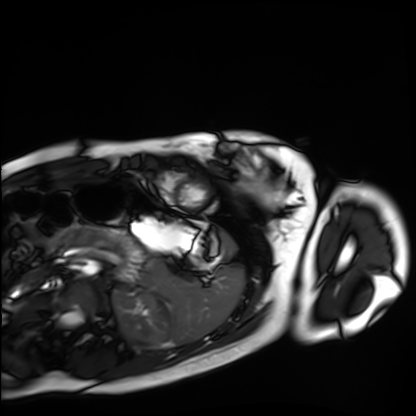
Case summary:
Cardiac MRI. Subject group: healthy volunteer.